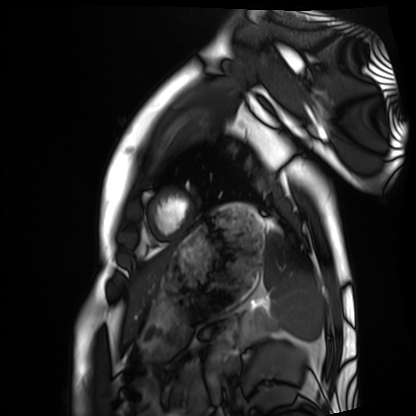
modality=cardiac MRI
subject group=healthy volunteer